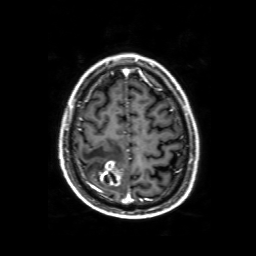
3 Tesla brain MRI. Series: 3D T1-weighted with SENSE. Study: ring-enhancing brain masses.